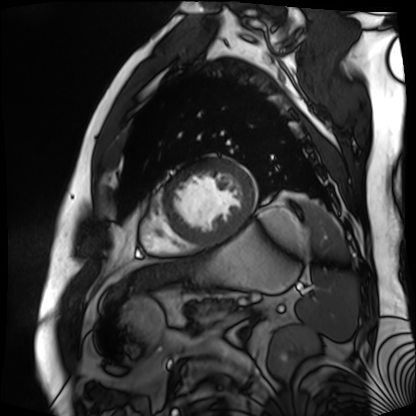
– modality · cardiac MR image of the myocardium
– subject cohort · cardiac patient